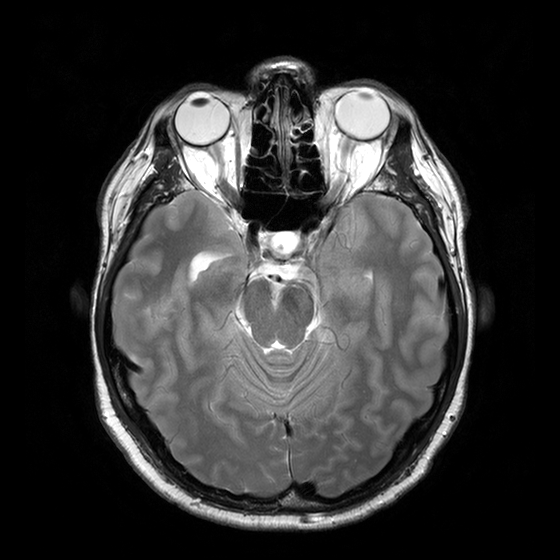
3 Tesla brain MRI.
Series: T2-weighted turbo spin echo with CLEAR.
Study: ring-enhancing brain masses.